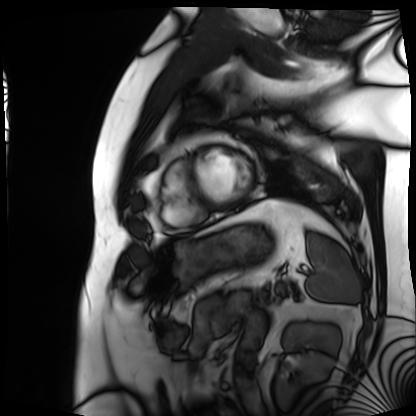
Cardiac MRI. Subject group: patient.